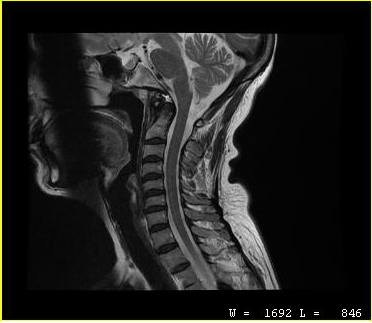
Summary:
MRI of the cervical spine. Study: cervical spondylosis.